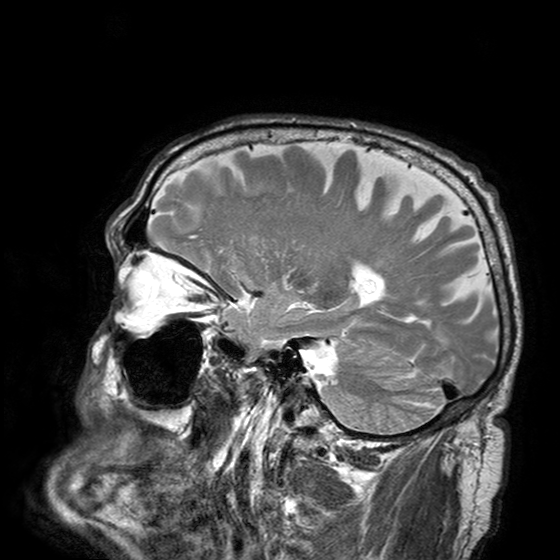
3 Tesla brain MRI. Series: T2-weighted turbo spin echo with SENSE. Study: ring-enhancing brain masses.